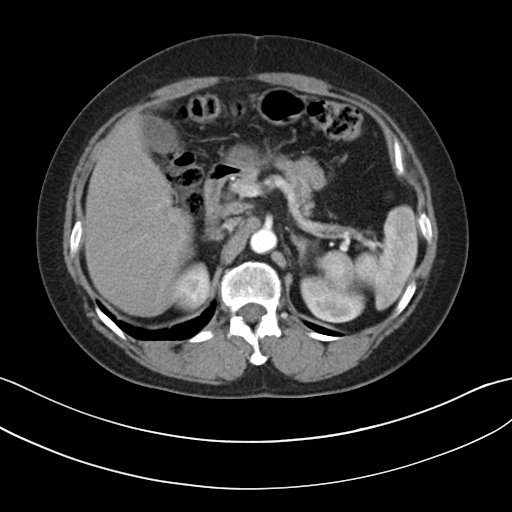
Multiphase abdominal CT, liver, arterial phase.
Patient: female, age 57.
History: viral hepatitis.